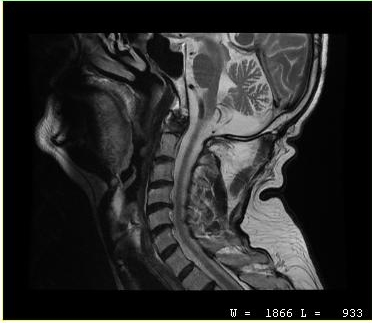
modality: MRI of the cervical spine | study: cervical spondylosis.